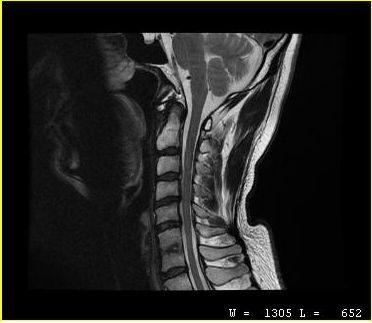
| field | value |
|---|---|
| modality | MRI of the cervical spine |
| study | cervical spondylosis |